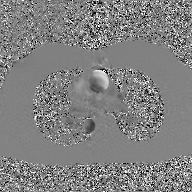
Case:
- modality: 2D phase-contrast cine MRI of the ascending aorta, GAN super-resolution reconstruction